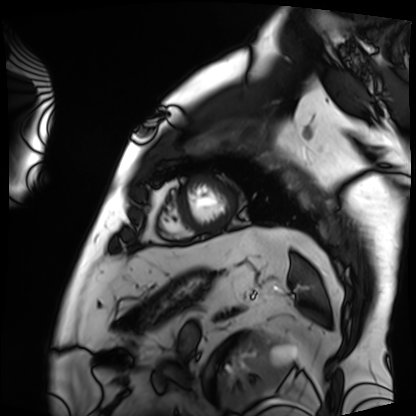
Cardiac MRI.
Subject group: patient.